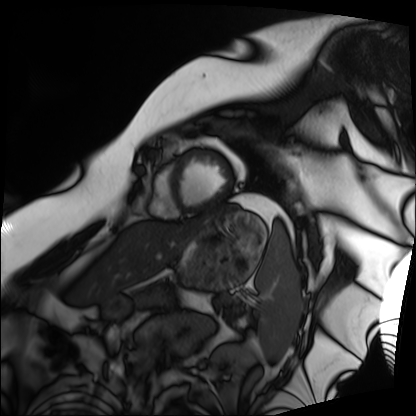
modality: cardiac MRI
subject group: patient